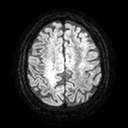
modality = 3 Tesla brain MRI
series = diffusion tensor imaging (medium iso)
study = ring-enhancing brain masses